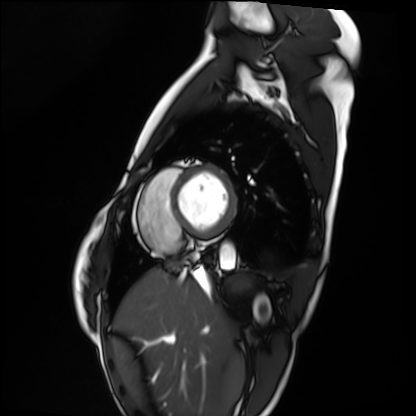
Cardiac MRI.
Subject group: healthy volunteer.